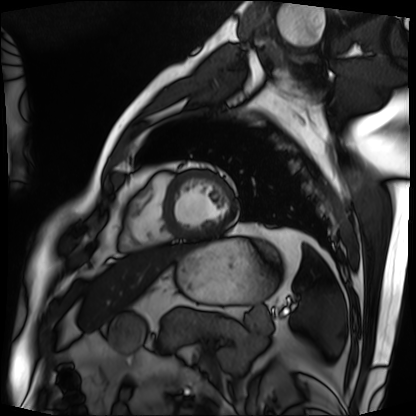
Q: What kind of scan is this?
A: Cardiac MRI.
Subject group: patient.